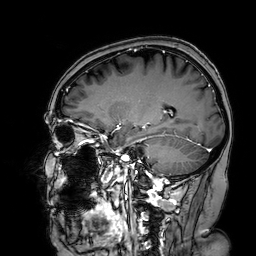
| field | value |
|---|---|
| modality | 3 Tesla brain MRI |
| series | 3D T1-weighted turbo field echo with SENSE |
| study | ring-enhancing brain masses |